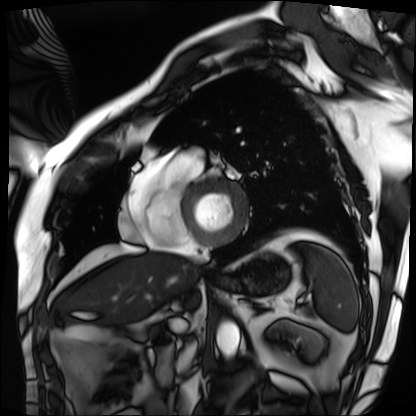
modality: cardiac MRI
subject group: patient